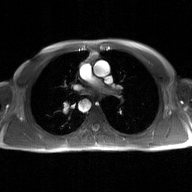
2D phase-contrast cine MRI of the ascending aorta, GAN super-resolution reconstruction.